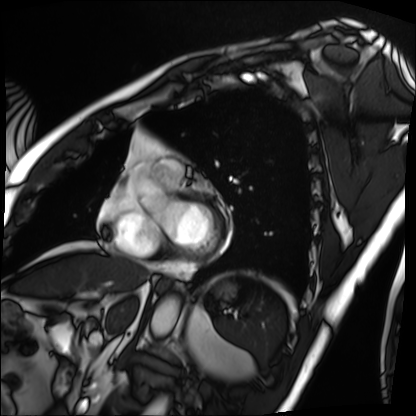
Cardiac MRI. Subject group: patient.